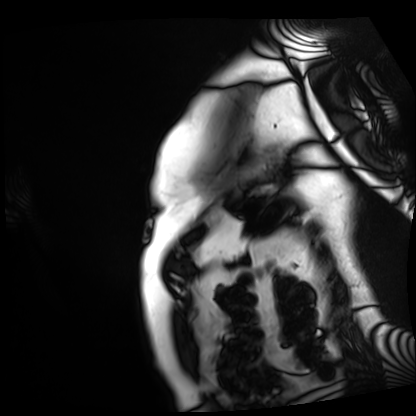
Summary: Cardiac MRI. Subject group: patient.